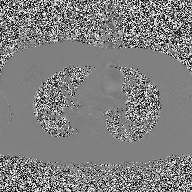
2D phase-contrast cine MRI of the ascending aorta, high-resolution GRAPPA acquisition.